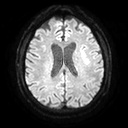
modality = 3 Tesla brain MRI
study = ring-enhancing brain masses